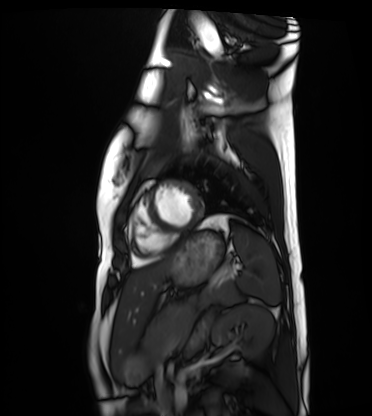
<scan>
<modality>cardiac MRI</modality>
<cohort>healthy volunteer</cohort>
</scan>